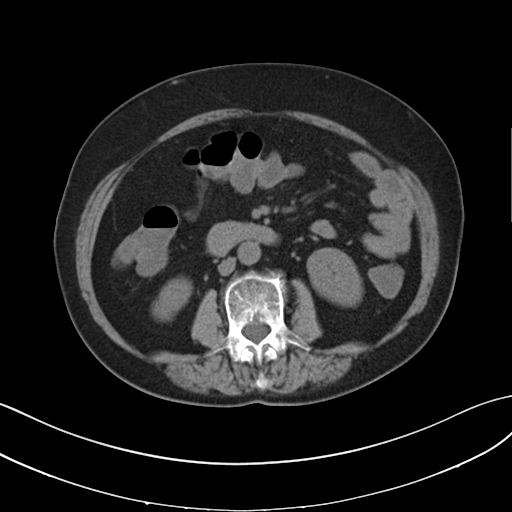
<study>
<modality>
  <type>multiphase abdominal CT</type>
  <region>liver</region>
  <phase>non-contrast</phase>
</modality>
</study>